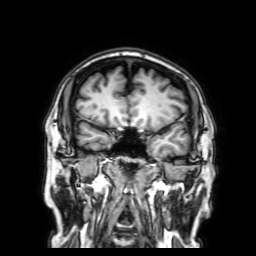
3 Tesla brain MRI. Series: 3D T1-weighted with SENSE. Study: ring-enhancing brain masses.